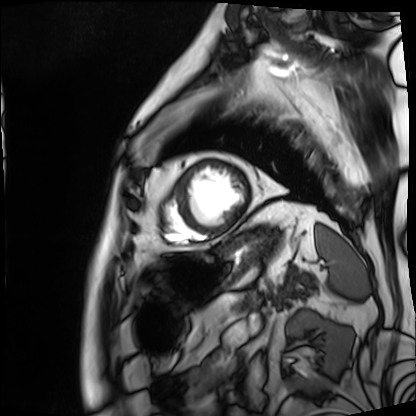
{"modality": "cardiac MRI", "cohort": "patient"}